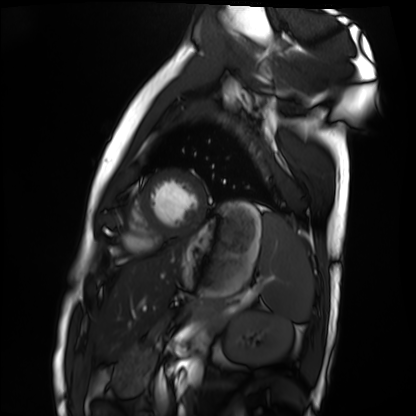
Clinical context:
Cardiac MRI. Subject group: healthy volunteer.